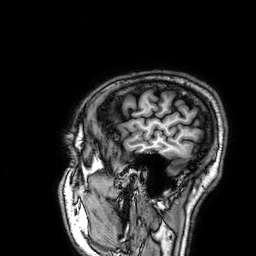
– modality — 3 Tesla brain MRI
– study — ring-enhancing brain masses